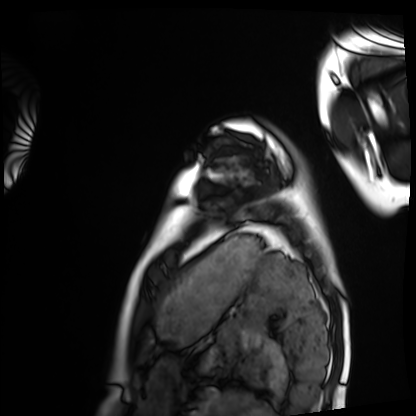
| field | value |
|---|---|
| modality | cardiac MRI |
| subject group | healthy volunteer |